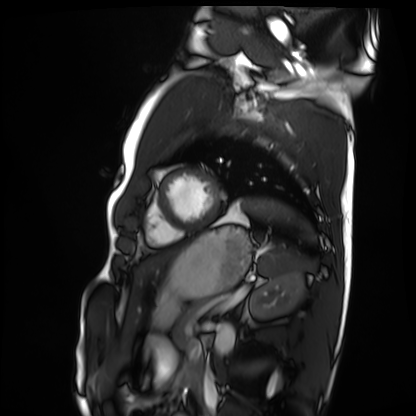
- modality — cardiac MRI
- subject group — healthy volunteer